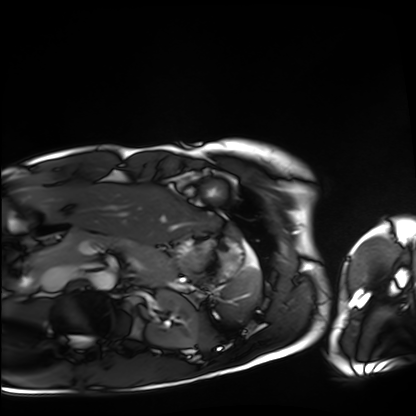
Cardiac MRI. Subject group: healthy volunteer.